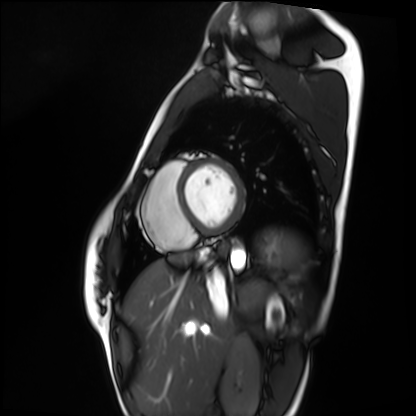
Cardiac MRI. Subject group: healthy volunteer.